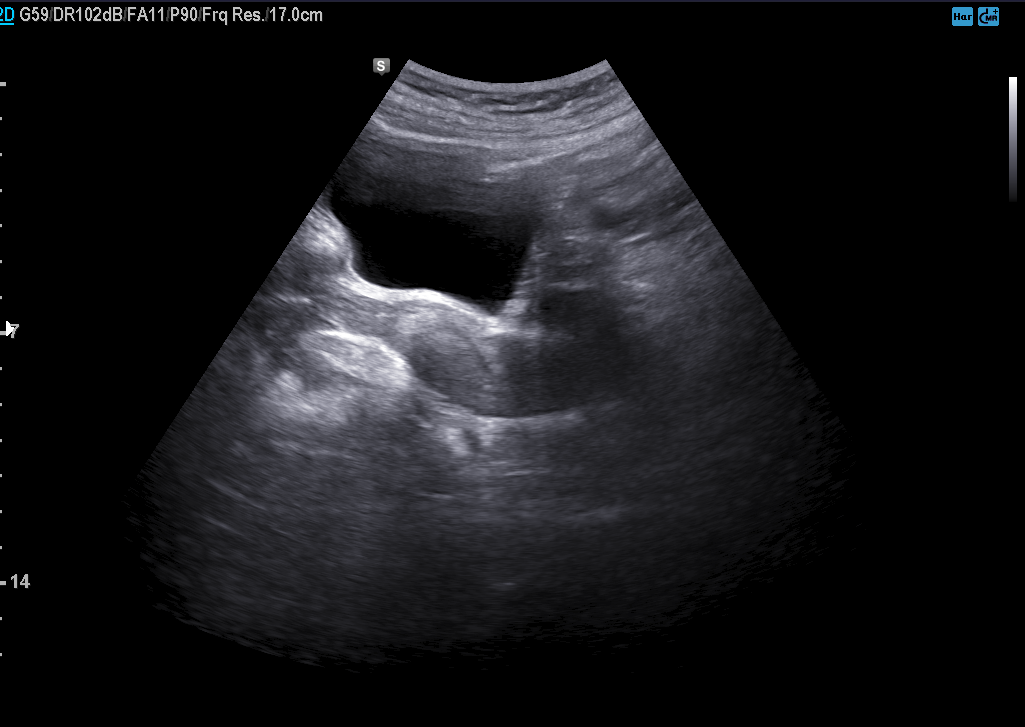
Genitourinary ultrasound.